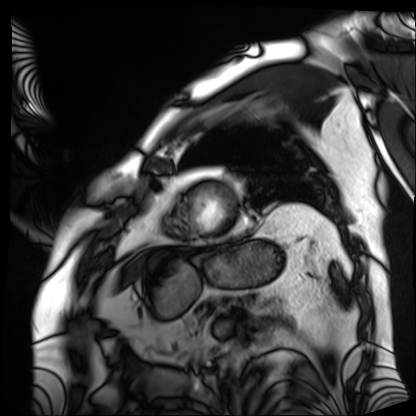
Summary: Cardiac MRI. Subject group: patient.